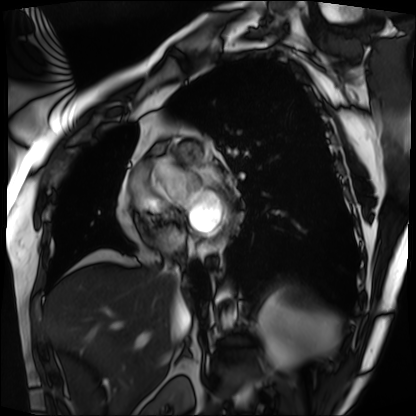
modality=cardiac MRI
subject group=patient